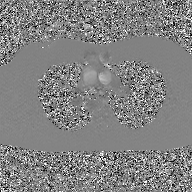
modality=2D phase-contrast cine MRI of the ascending aorta, GAN super-resolution reconstruction.